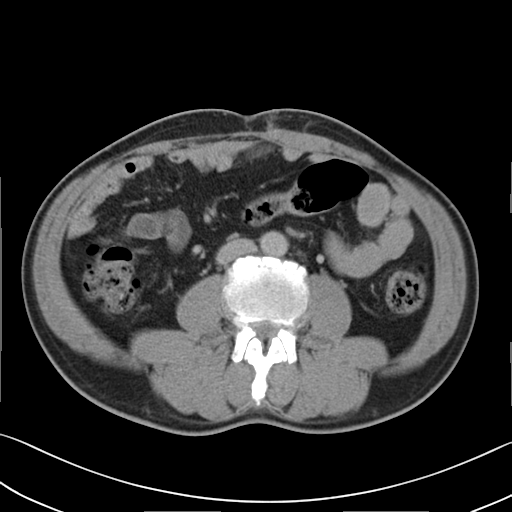
{
  "modality": {
    "type": "multiphase abdominal CT",
    "region": "liver",
    "phase": "delayed"
  },
  "patient": {
    "sex": "male",
    "age": 58
  }
}